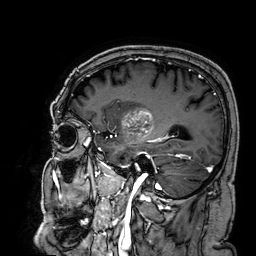
- modality · 3 Tesla brain MRI
- series · 3D T1-weighted
- study · ring-enhancing brain masses